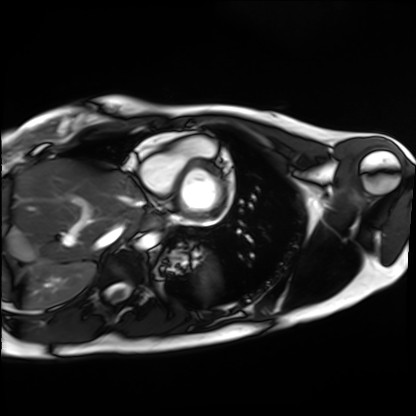
modality: cardiac MRI | subject group: healthy volunteer.